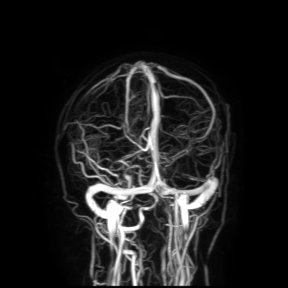
| field | value |
|---|---|
| modality | 3 Tesla brain MRI |
| study | ring-enhancing brain masses |